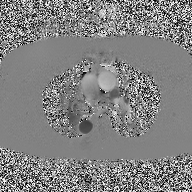
modality:
  type: 2D phase-contrast cine MRI
  region: ascending aorta
  reconstruction: high-resolution GRAPPA acquisition